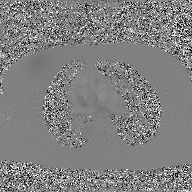
Summary:
2D phase-contrast cine MRI of the ascending aorta, GAN super-resolution reconstruction.